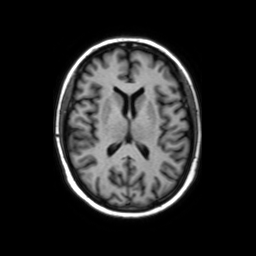
3 Tesla brain MRI.
Series: axial without contrast.
Study: ring-enhancing brain masses.